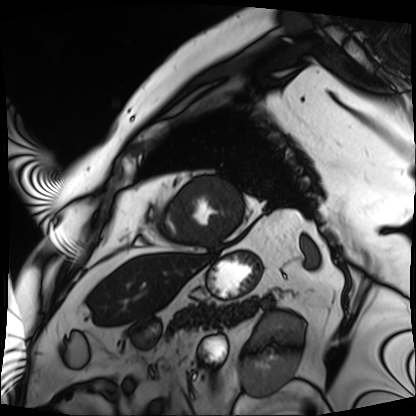
Case summary:
Cardiac MRI. Subject group: patient.